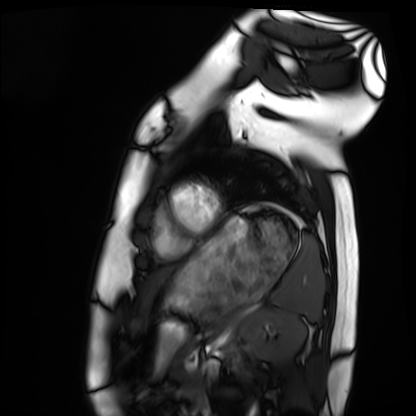
* modality · cardiac MRI
* subject group · healthy volunteer